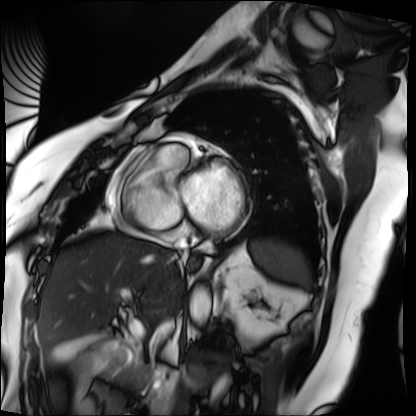
Cardiac MRI.
Subject group: patient.